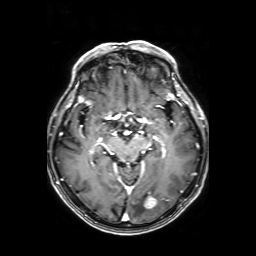
modality:
  type: brain MRI
  field_strength: 3T
series: axial T1-weighted fusion image
study_topic: ring-enhancing brain masses